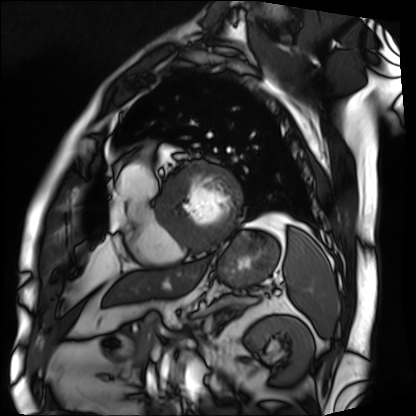
Q: What kind of scan is this?
A: Cardiac MRI.
Subject group: patient.